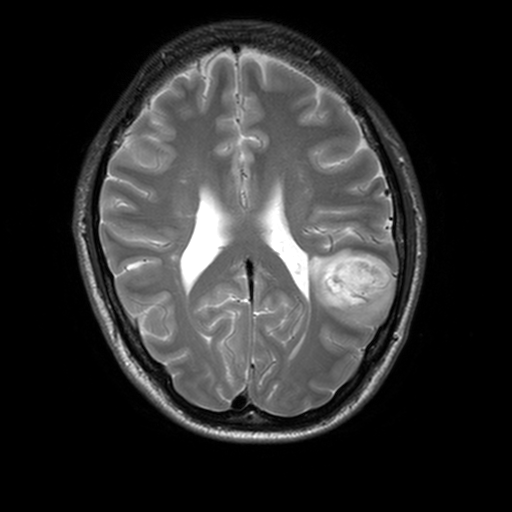
Summary: 3 Tesla brain MRI. Series: T2-weighted turbo spin echo, 3 mm. Study: ring-enhancing brain masses.